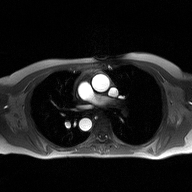
Case summary:
2D phase-contrast cine MRI of the ascending aorta, high-resolution GRAPPA acquisition.